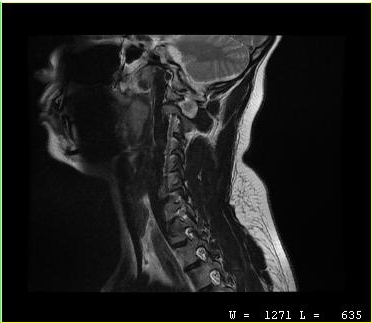
• modality — MRI of the cervical spine
• study — cervical spondylosis